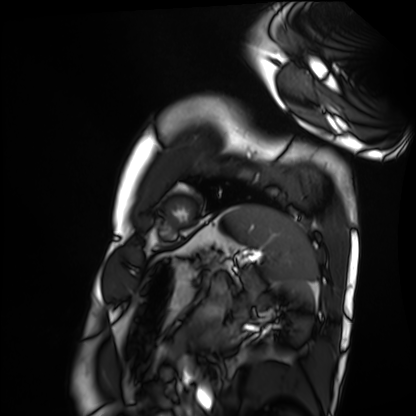
modality: cardiac MRI
cohort: healthy volunteer